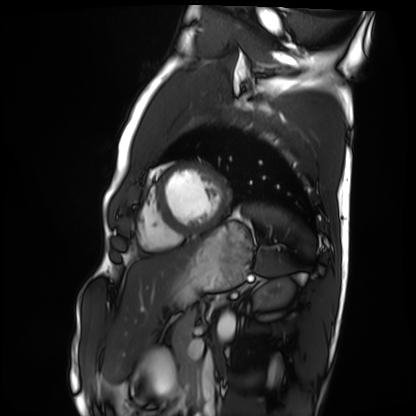
modality: cardiac MRI, subject group: healthy volunteer.